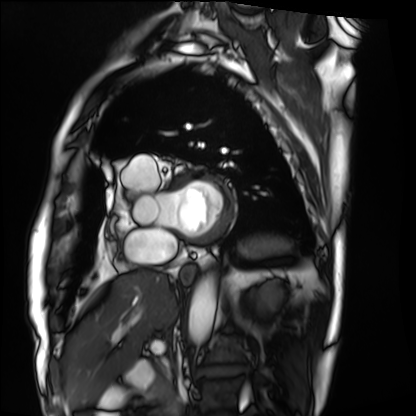
Case:
- modality · cardiac MRI
- subject group · patient